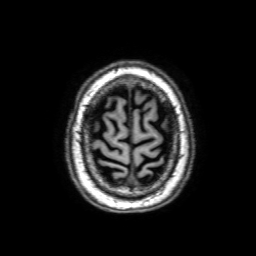
3 Tesla brain MRI. Series: 3D T1-weighted with SENSE. Study: ring-enhancing brain masses.